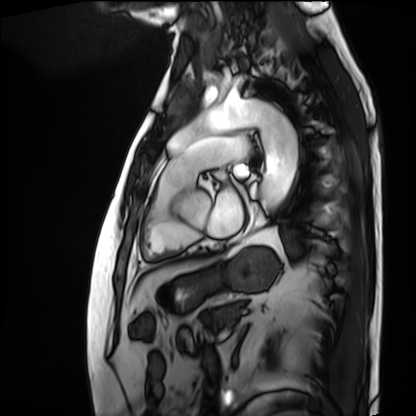
modality=cardiac MRI | subject group=patient.